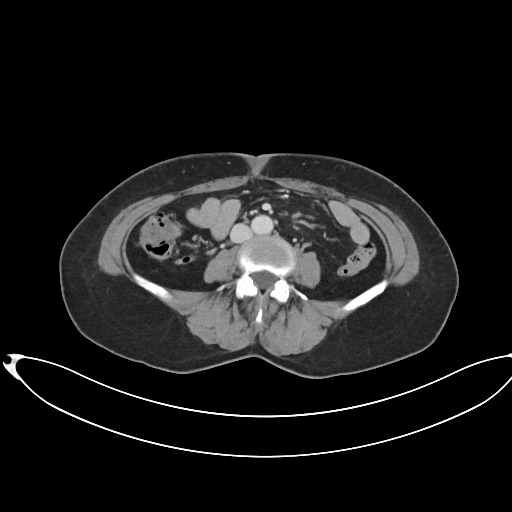
modality = multiphase abdominal CT, liver, portal venous phase | patient = female, age 60.